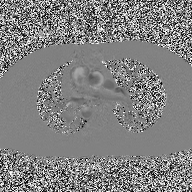
2D phase-contrast cine MRI of the ascending aorta, high-resolution GRAPPA acquisition.